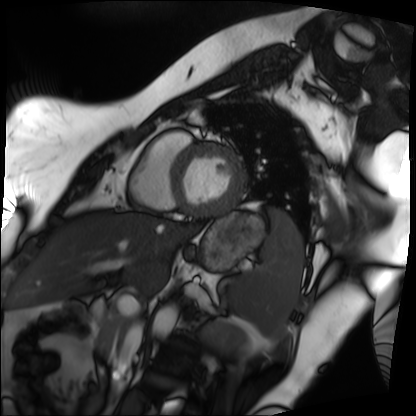
Case:
* modality — cardiac MRI
* subject group — patient